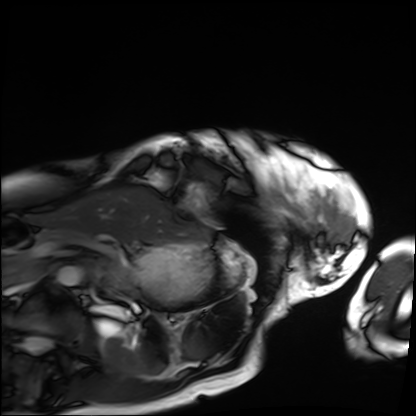
Clinical context: Cardiac MRI. Subject group: patient.